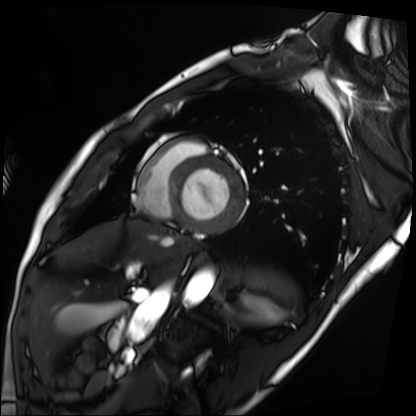
Case summary: Cardiac MRI. Subject group: patient.